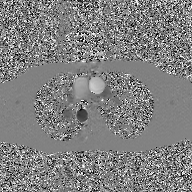
* modality · 2D phase-contrast cine MRI of the ascending aorta, GAN super-resolution reconstruction